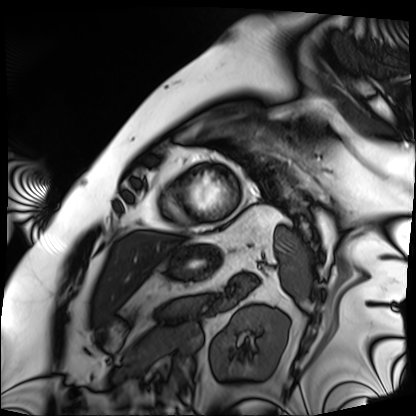
Q: What kind of scan is this?
A: Cardiac MRI.
Subject group: patient.